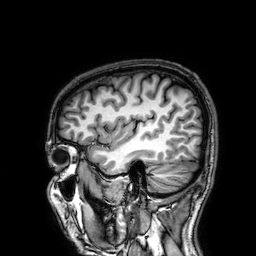
Q: What kind of scan is this?
A: 3 Tesla brain MRI.
Q: Series?
A: 3D T1-weighted.
Study: ring-enhancing brain masses.